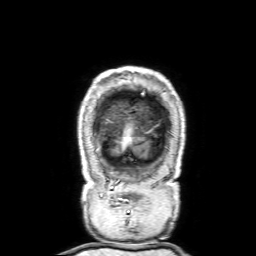
modality: 3 Tesla brain MRI | series: 3D T1-weighted with SENSE | study: ring-enhancing brain masses.